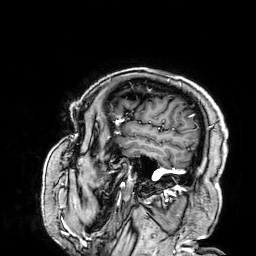
{"modality": {"type": "brain MRI", "field_strength": "3T"}, "series": "3D T1-weighted", "study_topic": "ring-enhancing brain masses"}